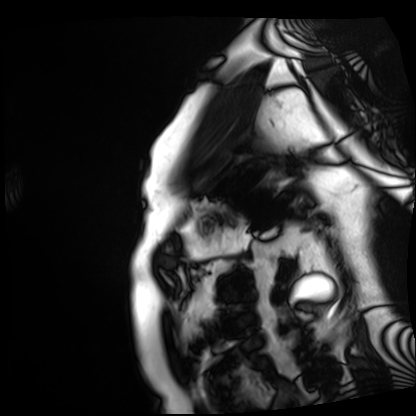
Cardiac MRI. Subject group: patient.